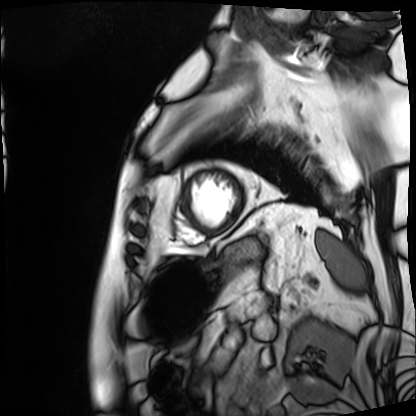
Summary:
Cardiac MRI. Subject group: patient.